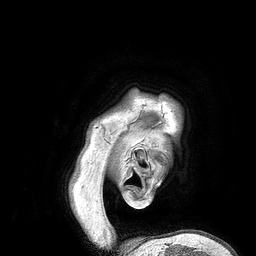
3 Tesla brain MRI.
Series: 3D T1-weighted turbo field echo.
Study: ring-enhancing brain masses.